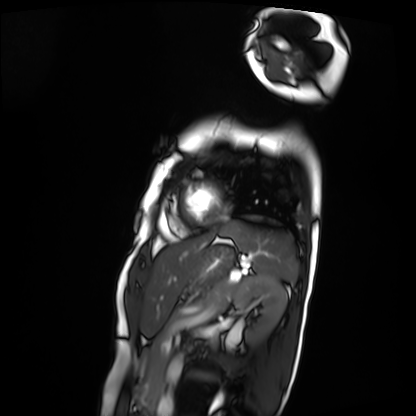
Case summary: Cardiac MRI. Subject group: patient.